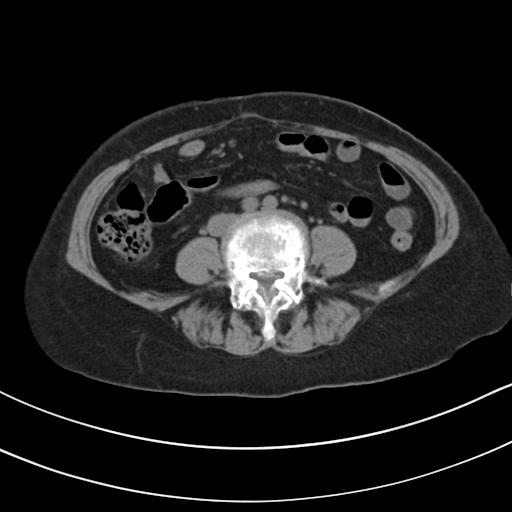
modality=multiphase abdominal CT, liver, non-contrast phase
patient=female, age 61